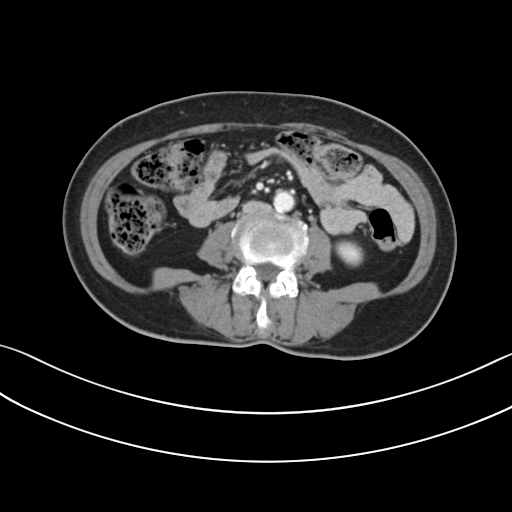
Summary:
Multiphase abdominal CT, liver, portal venous phase. Patient: female, age 61.